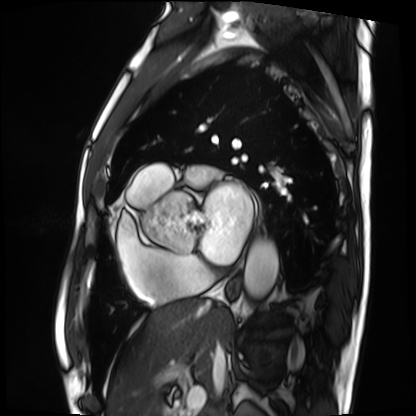
Summary:
Cardiac MRI. Subject group: patient.